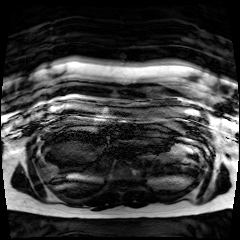
Q: What kind of scan is this?
A: Chemical-shift-encoded cardiac MRI.